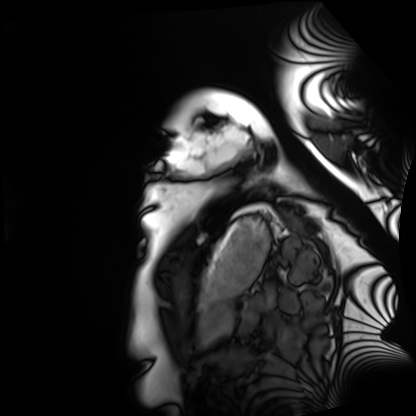
Cardiac MRI.
Subject group: healthy volunteer.